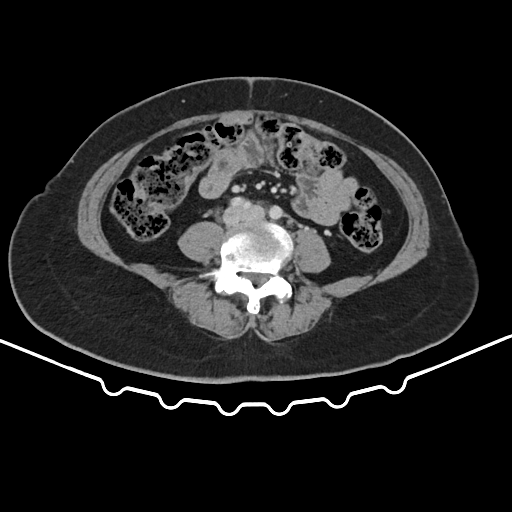
| field | value |
|---|---|
| modality | multiphase abdominal CT, liver, portal venous phase |